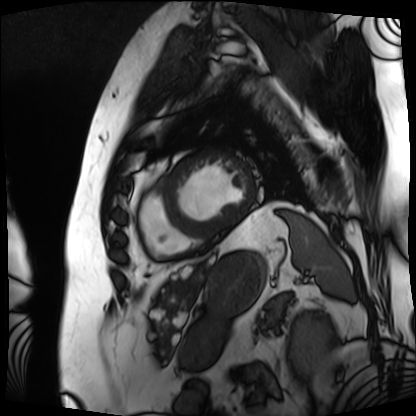
{
  "modality": "cardiac MRI",
  "cohort": "patient"
}